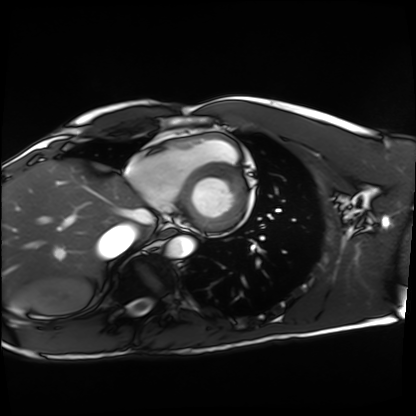
modality — cardiac MRI
subject group — healthy volunteer